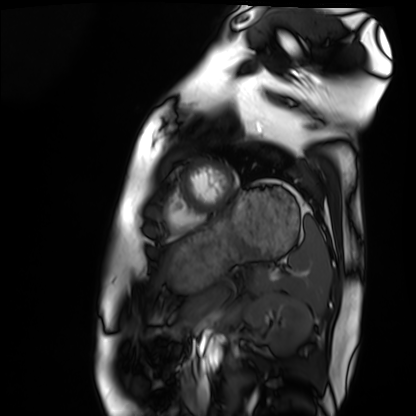
Q: What kind of scan is this?
A: Cardiac MRI.
Subject group: healthy volunteer.